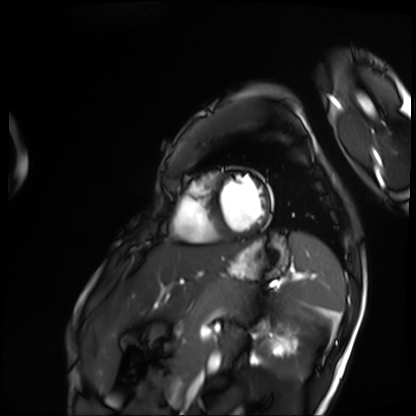
{"modality": "cardiac MRI", "cohort": "patient"}